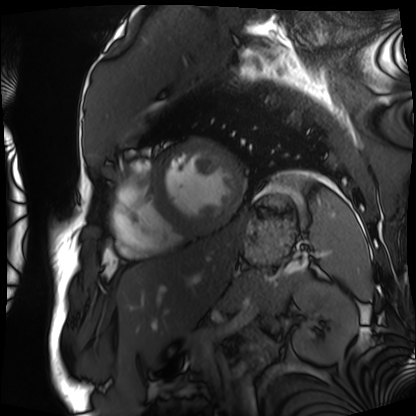
Summary:
Cardiac MRI. Subject group: patient.